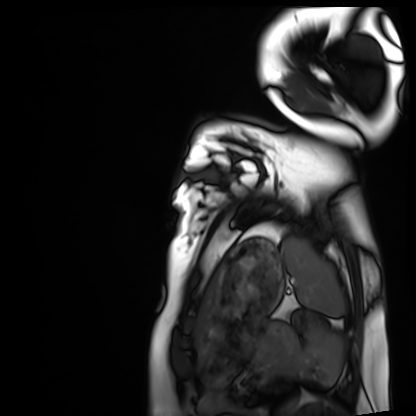
modality: cardiac MRI | subject group: healthy volunteer.